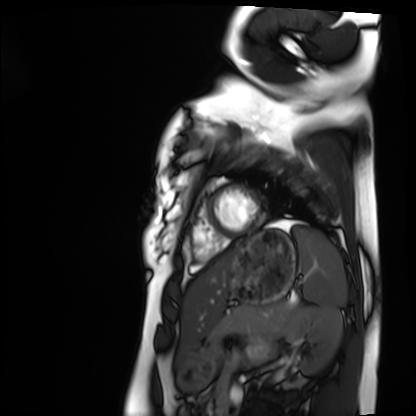
modality = cardiac MRI
subject group = healthy volunteer